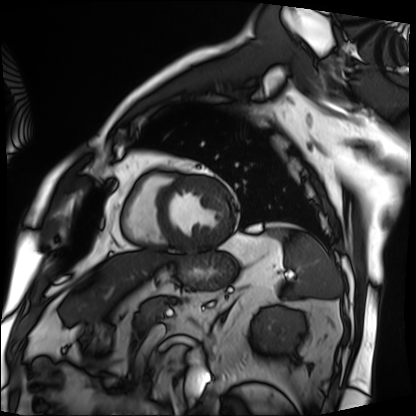
Cardiac MRI.
Subject group: patient.